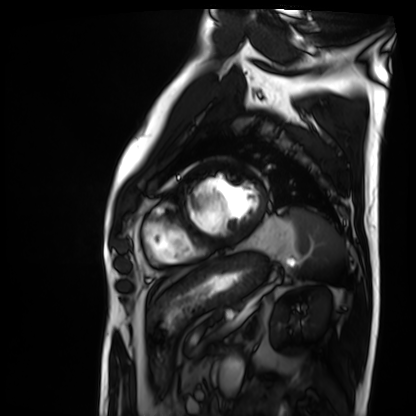
Case summary:
Cardiac MRI. Subject group: patient.